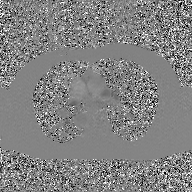
{
  "modality": {
    "type": "2D phase-contrast cine MRI",
    "region": "ascending aorta",
    "reconstruction": "GAN super-resolution reconstruction"
  }
}